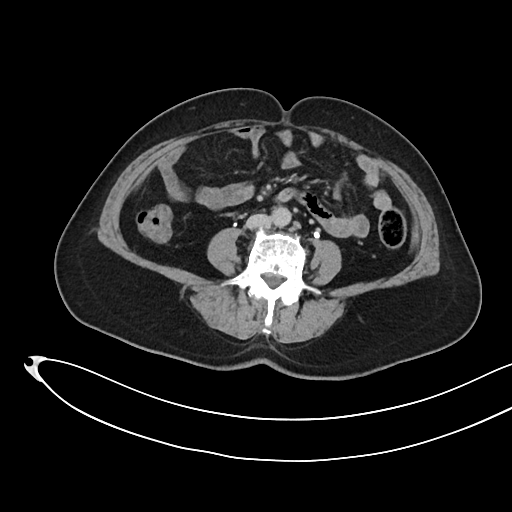
Multiphase abdominal CT, liver, delayed phase. Patient: female, age 61.